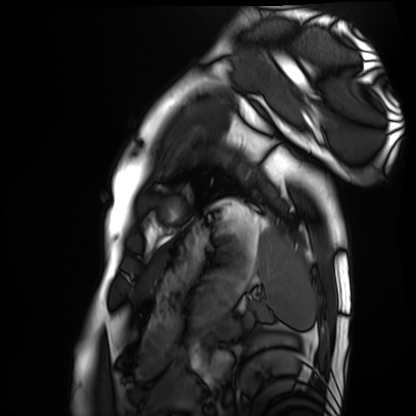
Cardiac MRI. Subject group: healthy volunteer.